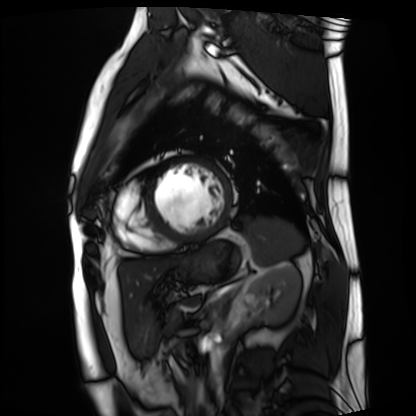
| field | value |
|---|---|
| modality | cardiac MRI |
| subject group | patient |